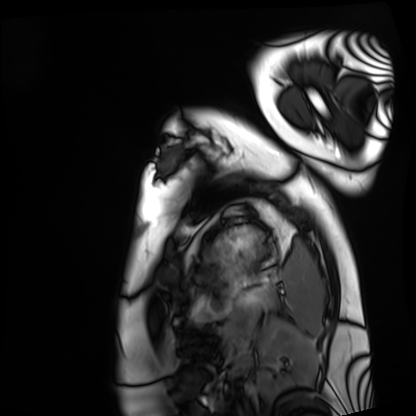
<study>
<modality>cardiac MRI</modality>
<cohort>healthy volunteer</cohort>
</study>